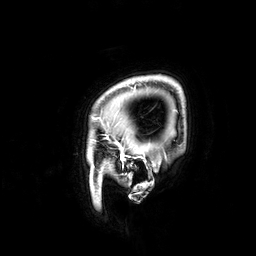
modality = 3 Tesla brain MRI; series = 3D T1-weighted; study = ring-enhancing brain masses.